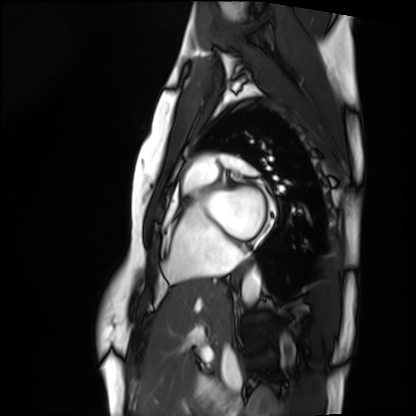
{
  "modality": "cardiac MRI",
  "cohort": "healthy volunteer"
}